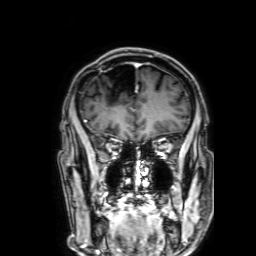
3 Tesla brain MRI. Series: 3D T1-weighted with SENSE. Study: ring-enhancing brain masses.